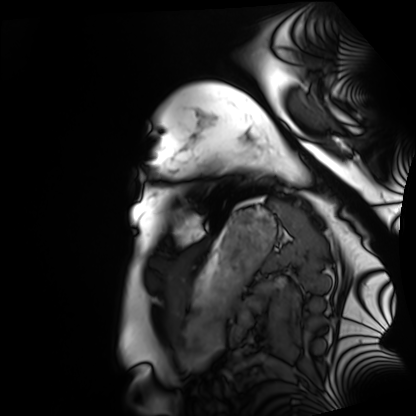
Case summary: Cardiac MRI. Subject group: healthy volunteer.